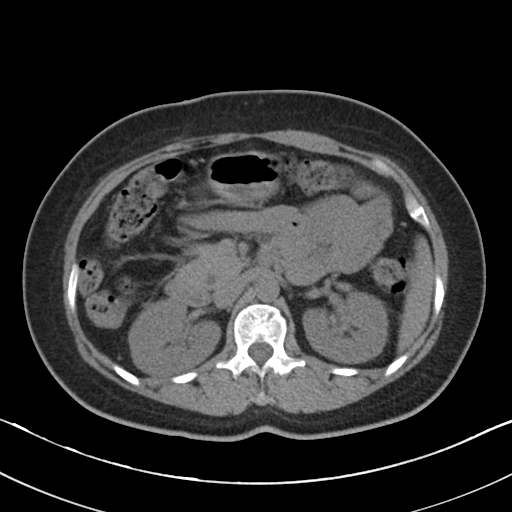
<record>
  <modality>
    <type>multiphase abdominal CT</type>
    <region>liver</region>
    <phase>non-contrast</phase>
  </modality>
  <patient>
    <sex>female</sex>
    <age>50</age>
  </patient>
</record>